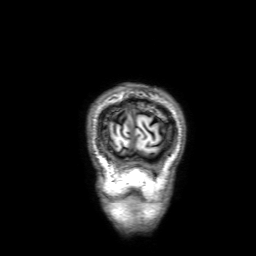
3 Tesla brain MRI. Series: 3D T1-weighted with SENSE. Study: ring-enhancing brain masses.